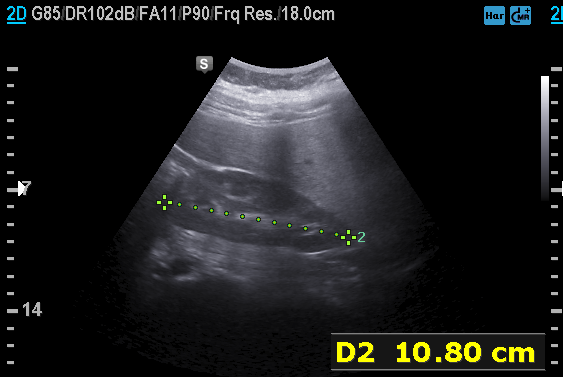
Genitourinary ultrasound.